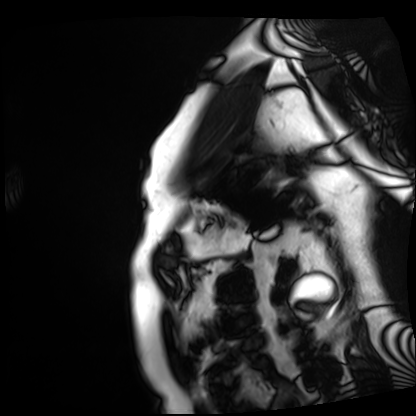
modality — cardiac MRI; subject group — patient.